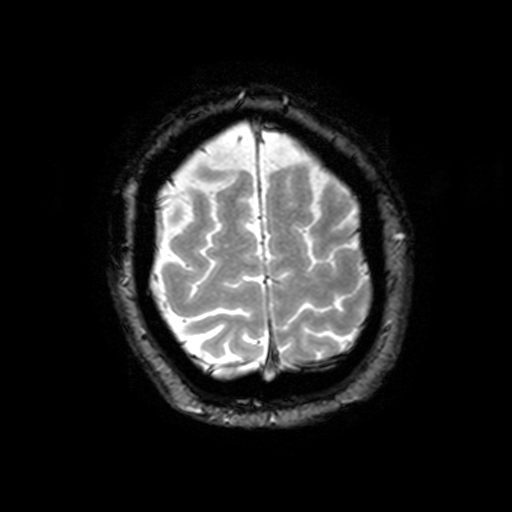
3 Tesla brain MRI. Series: T2-weighted fast field echo with SENSE. Study: ring-enhancing brain masses.